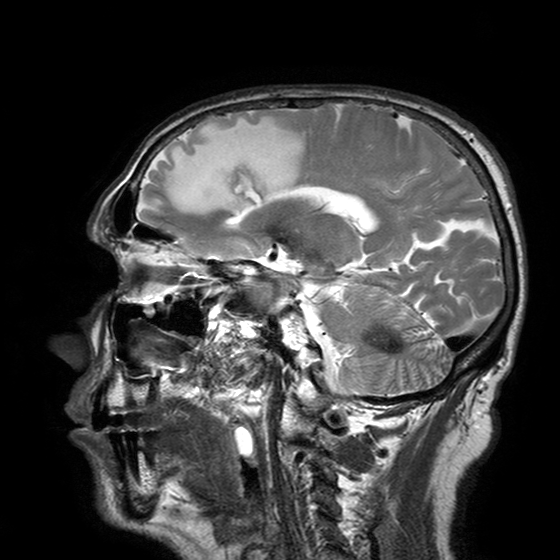
3 Tesla brain MRI. Series: T2-weighted turbo spin echo with SENSE. Study: ring-enhancing brain masses.